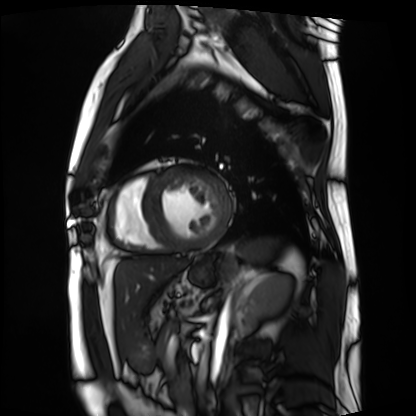
| field | value |
|---|---|
| modality | cardiac MRI |
| subject group | patient |